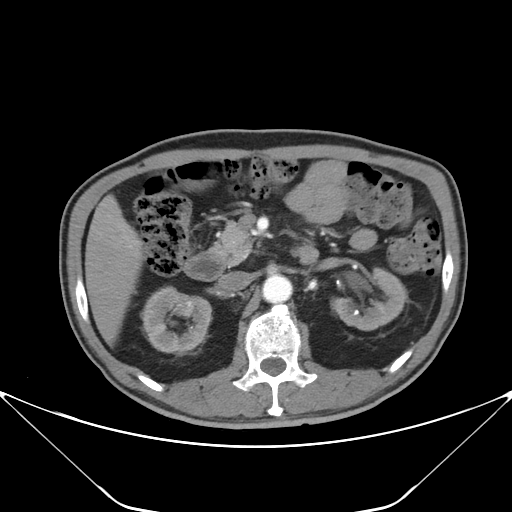
– modality — multiphase abdominal CT, liver, arterial phase
– patient — male, age 67